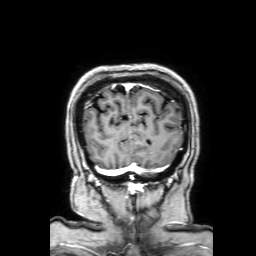
3 Tesla brain MRI.
Series: 3D T1-weighted with SENSE.
Study: ring-enhancing brain masses.